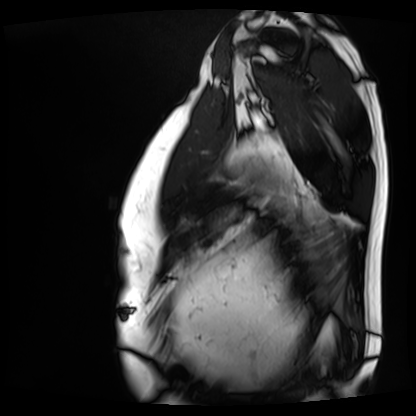
Case summary:
Cardiac MRI. Subject group: patient.